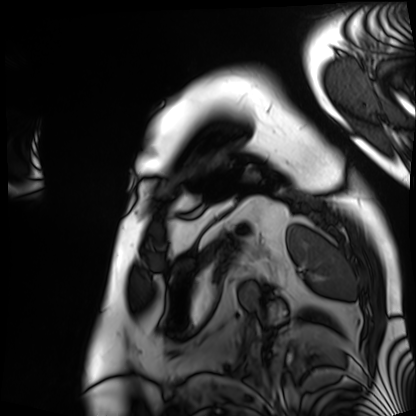
Cardiac MRI.
Subject group: patient.